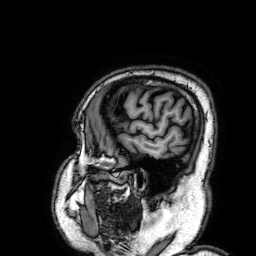
3 Tesla brain MRI.
Series: 3D T1-weighted.
Study: ring-enhancing brain masses.